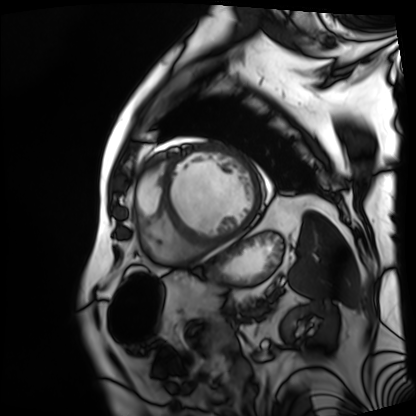
Cardiac MRI.
Subject group: patient.